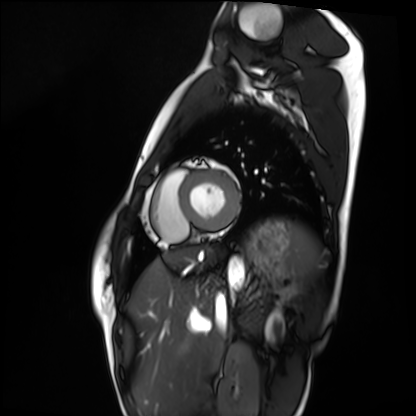
Cardiac MRI. Subject group: healthy volunteer.